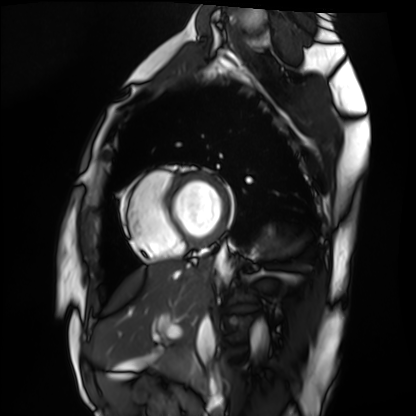
modality = cardiac MRI
subject group = healthy volunteer